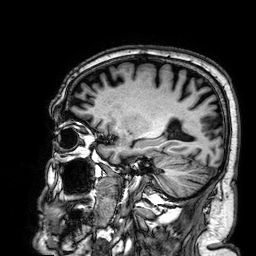
{
  "modality": {
    "type": "brain MRI",
    "field_strength": "3T"
  },
  "series": "3D T1-weighted",
  "study_topic": "ring-enhancing brain masses"
}